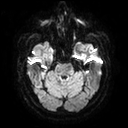
Summary: 3 Tesla brain MRI. Study: ring-enhancing brain masses.